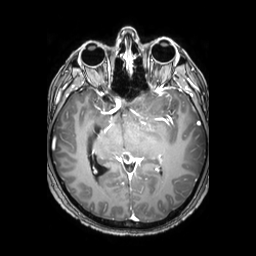
{
  "modality": {
    "type": "brain MRI",
    "field_strength": "3T"
  },
  "study_topic": "ring-enhancing brain masses"
}